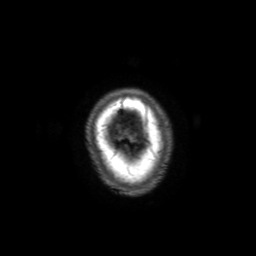
{
  "modality": {
    "type": "brain MRI",
    "field_strength": "3T"
  },
  "series": "3D T1-weighted with SENSE",
  "study_topic": "ring-enhancing brain masses"
}